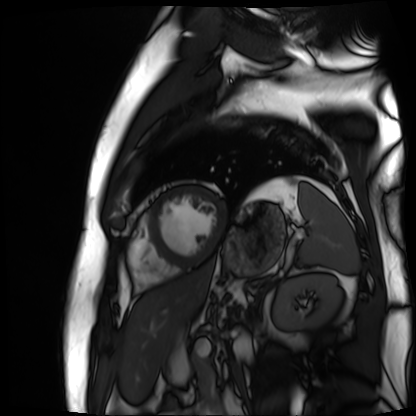
Summary:
Cardiac MR image of the myocardium. Subject cohort: cardiac patient.